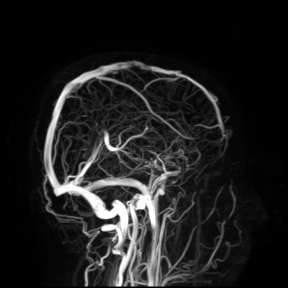
modality — 3 Tesla brain MRI
study — ring-enhancing brain masses